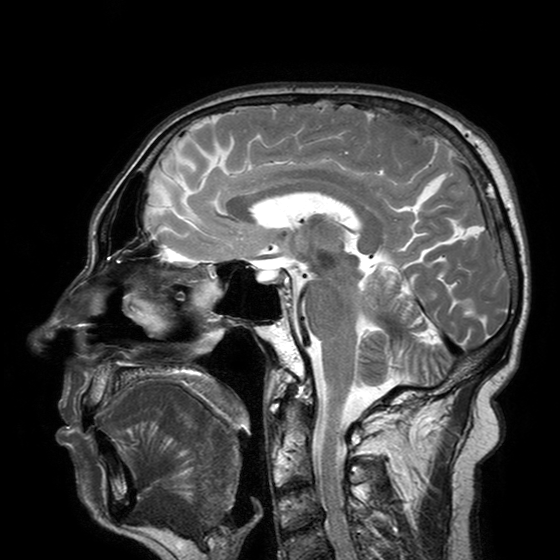
  modality:
    type: brain MRI
    field_strength: 3T
  series: T2-weighted turbo spin echo with SENSE
  study_topic: ring-enhancing brain masses